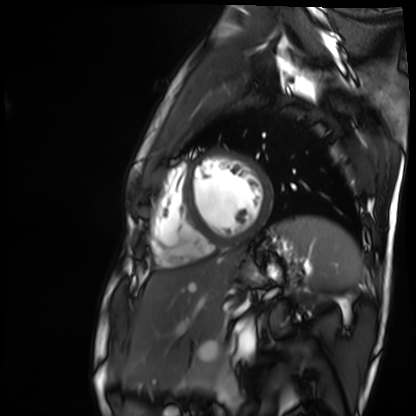
{
  "modality": "cardiac MR image of the myocardium",
  "cohort": "healthy volunteer"
}